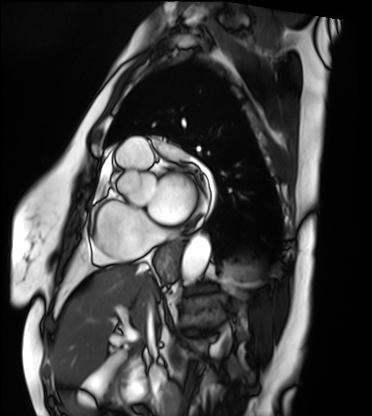
Cardiac MRI. Subject group: patient.